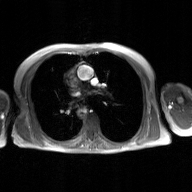
2D phase-contrast cine MRI of the ascending aorta, GAN super-resolution reconstruction.